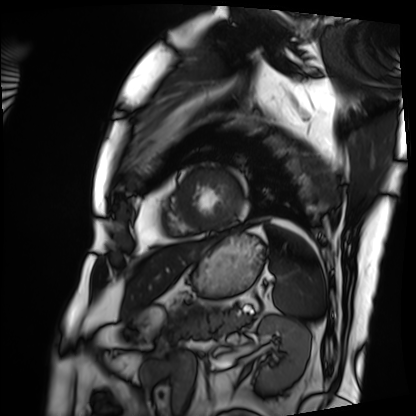
• modality · cardiac MRI
• subject group · patient